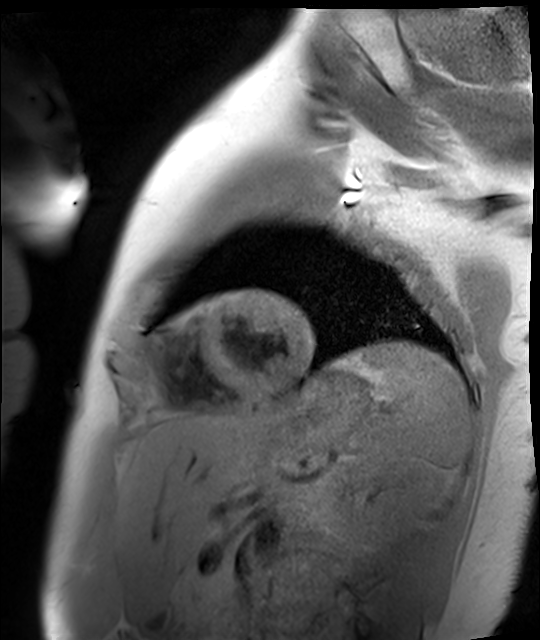
{
  "modality": "cardiac MR image of the myocardium",
  "cohort": "healthy volunteer"
}